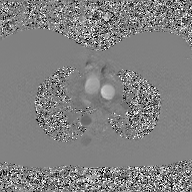
modality = 2D phase-contrast cine MRI of the ascending aorta, GAN super-resolution reconstruction.